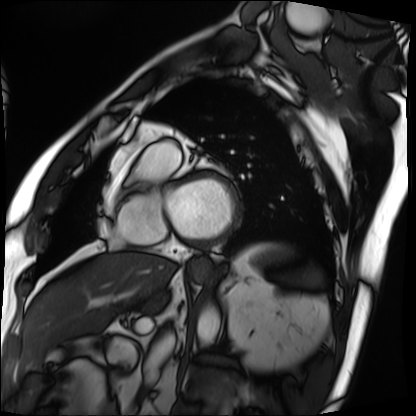
Cardiac MRI.
Subject group: patient.